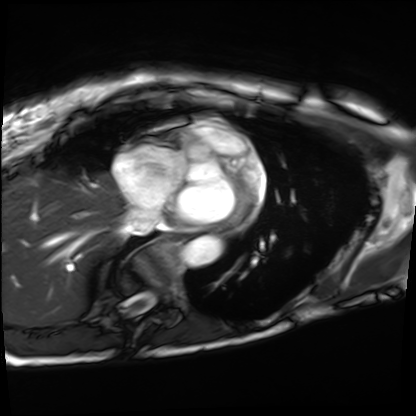
modality = cardiac MRI
subject group = patient